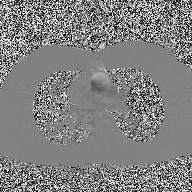
Summary: 2D phase-contrast cine MRI of the ascending aorta, high-resolution GRAPPA acquisition.